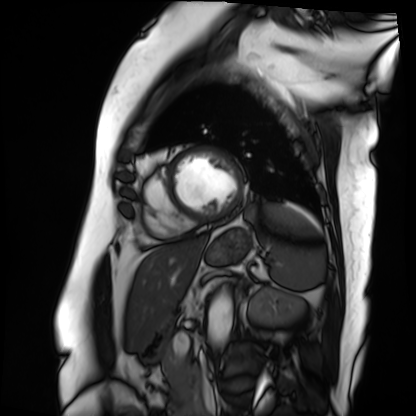
Cardiac MRI.
Subject group: patient.